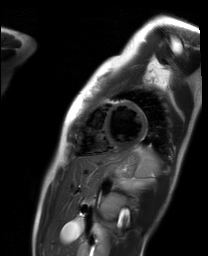
Cardiac MR image of the myocardium. Subject cohort: healthy volunteer.